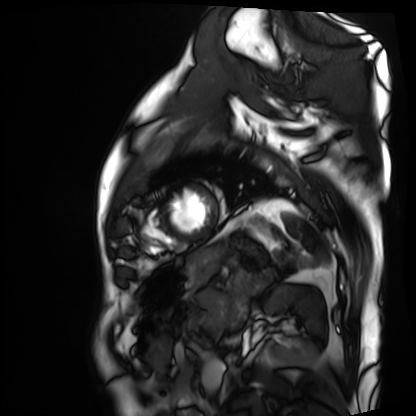
Summary:
Cardiac MRI. Subject group: patient.